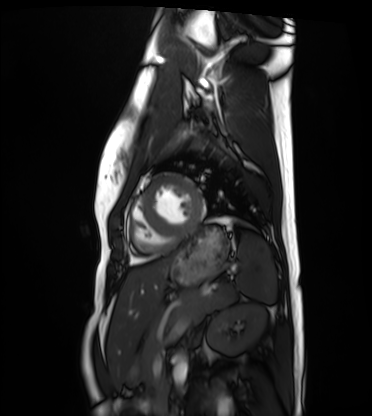
Q: What kind of scan is this?
A: Cardiac MRI.
Subject group: healthy volunteer.